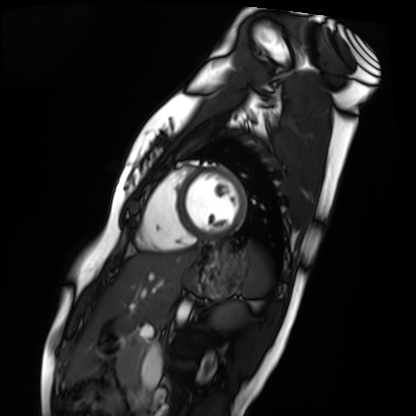
Cardiac MRI.
Subject group: healthy volunteer.